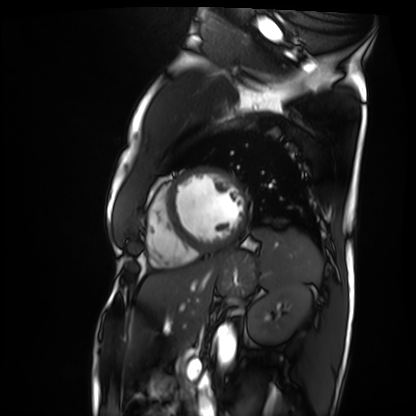
Clinical context: Cardiac MRI. Subject group: patient.